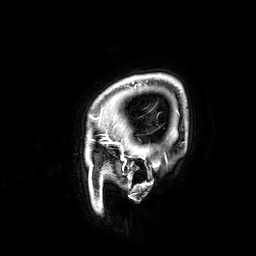
Q: What kind of scan is this?
A: 3 Tesla brain MRI.
Q: Series?
A: 3D T1-weighted.
Study: ring-enhancing brain masses.